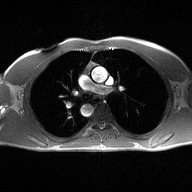
Q: What kind of scan is this?
A: 2D phase-contrast cine MRI of the ascending aorta.